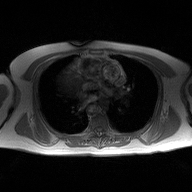
Clinical context:
2D phase-contrast cine MRI of the ascending aorta, high-resolution GRAPPA acquisition.